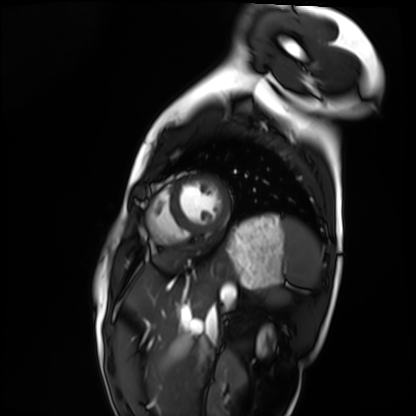
modality: cardiac MRI
cohort: healthy volunteer